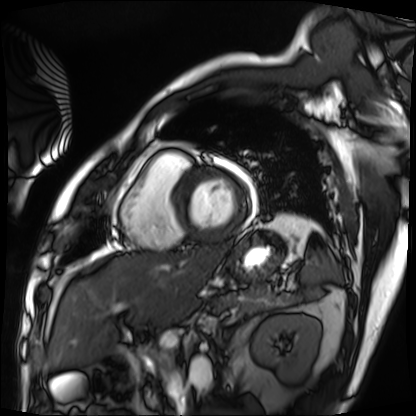
– modality: cardiac MRI
– subject group: patient